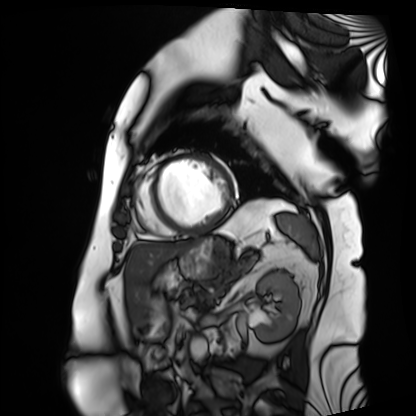
Cardiac MRI.
Subject group: patient.